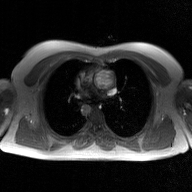
modality: 2D phase-contrast cine MRI of the ascending aorta, GAN super-resolution reconstruction